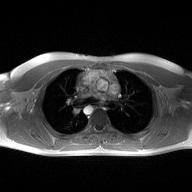
modality=2D phase-contrast cine MRI of the ascending aorta.